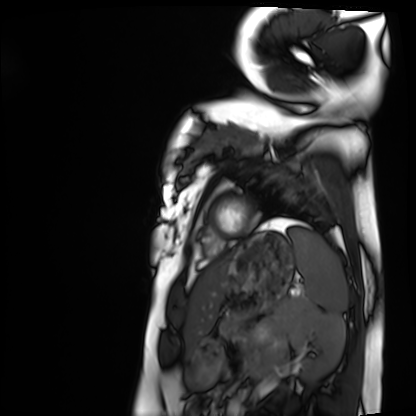
Cardiac MRI.
Subject group: healthy volunteer.